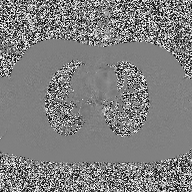
Summary:
2D phase-contrast cine MRI of the ascending aorta, high-resolution GRAPPA acquisition.